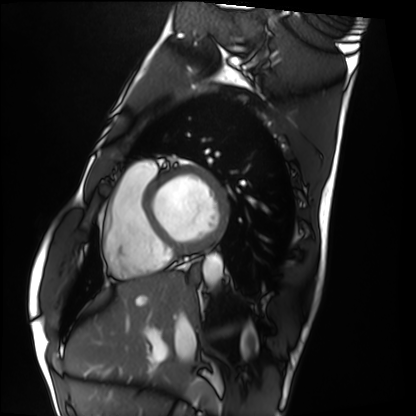
modality = cardiac MRI; subject group = healthy volunteer.